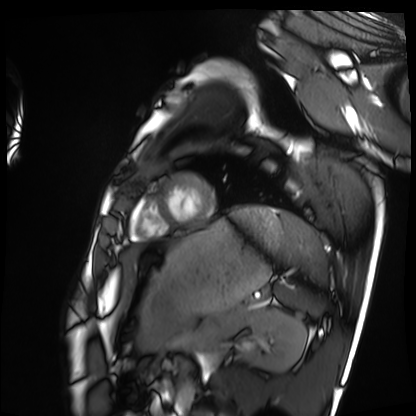
Q: What kind of scan is this?
A: Cardiac MRI.
Subject group: healthy volunteer.